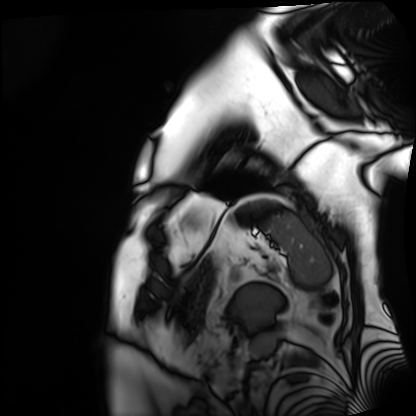
Cardiac MRI. Subject group: patient.